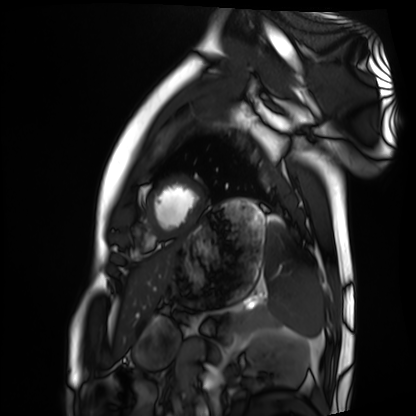
modality: cardiac MRI | subject group: healthy volunteer.